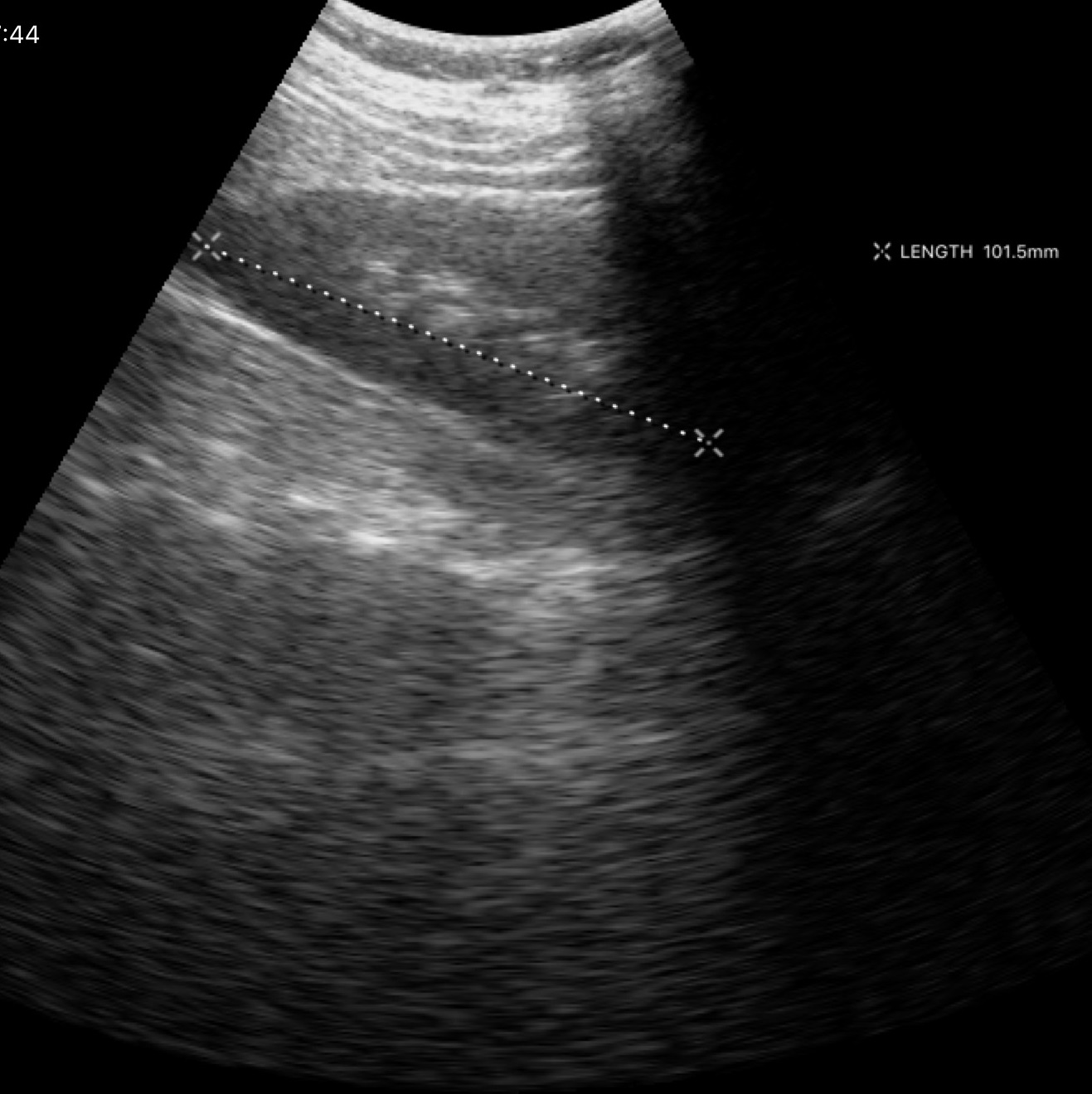
• modality · genitourinary ultrasound